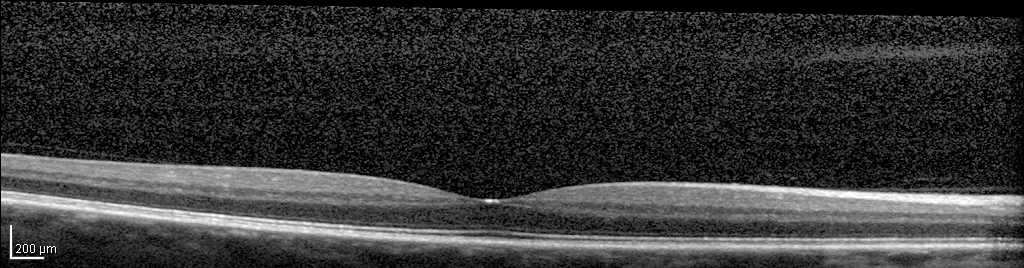
{"modality": "spectral-domain optical coherence tomography (SD-OCT) of the macula", "subject": {"sex": "male", "age": 60, "eye": "right eye"}, "cohort": "non-diabetic control", "etdrs_thickness_um": {"central": 319, "inner_temporal": 355, "inner_nasal": 368, "inner_superior": 366, "inner_inferior": 360, "outer_temporal": 302, "outer_nasal": 321, "outer_superior": 325, "outer_inferior": 313}}